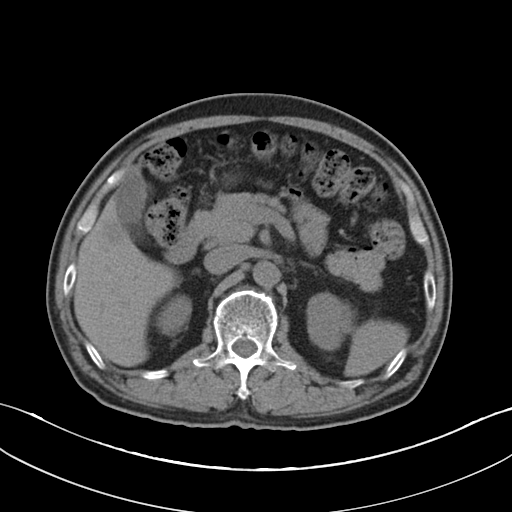
modality: multiphase abdominal CT, liver, non-contrast phase
patient: male, age 66
history: cirrhosis